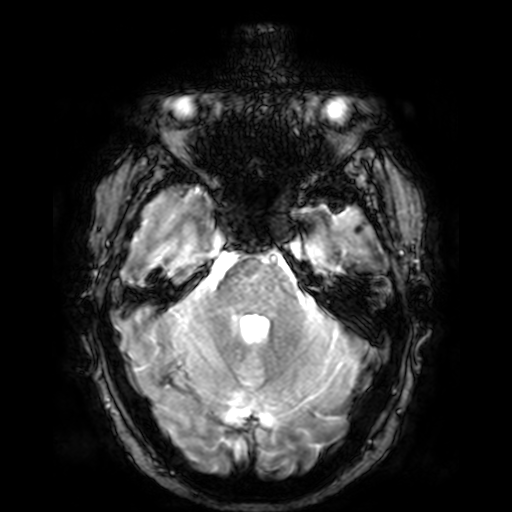
{"modality": {"type": "brain MRI", "field_strength": "3T"}, "series": "T2-weighted fast field echo", "study_topic": "ring-enhancing brain masses"}